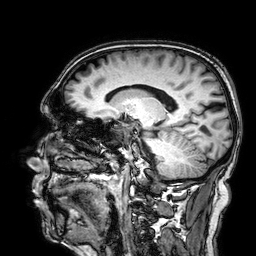
3 Tesla brain MRI.
Series: 3D T1-weighted.
Study: ring-enhancing brain masses.